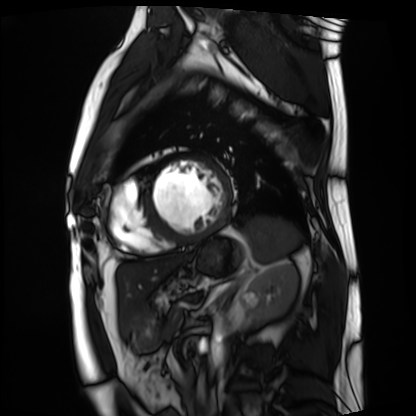
modality = cardiac MRI, subject group = patient.